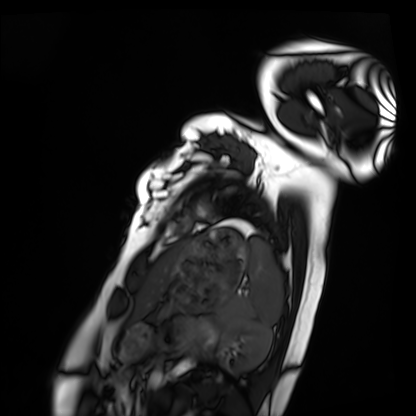
Cardiac MRI. Subject group: healthy volunteer.